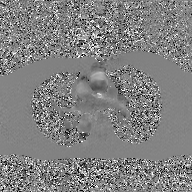
{
  "modality": {
    "type": "2D phase-contrast cine MRI",
    "region": "ascending aorta",
    "reconstruction": "GAN super-resolution reconstruction"
  }
}